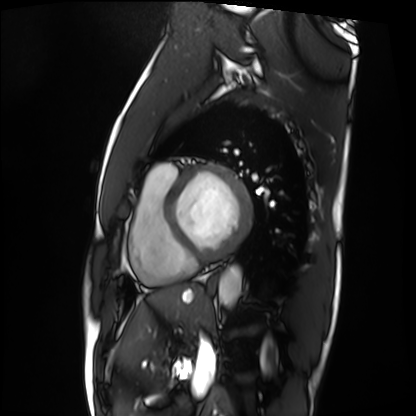
Cardiac MRI. Subject group: patient.